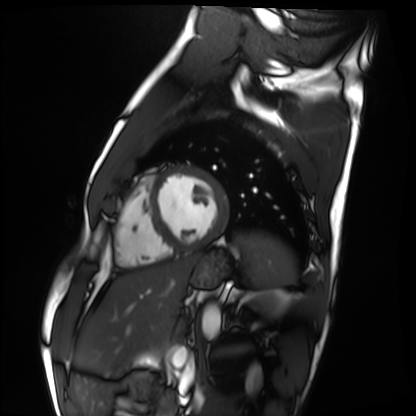
Cardiac MRI. Subject group: healthy volunteer.